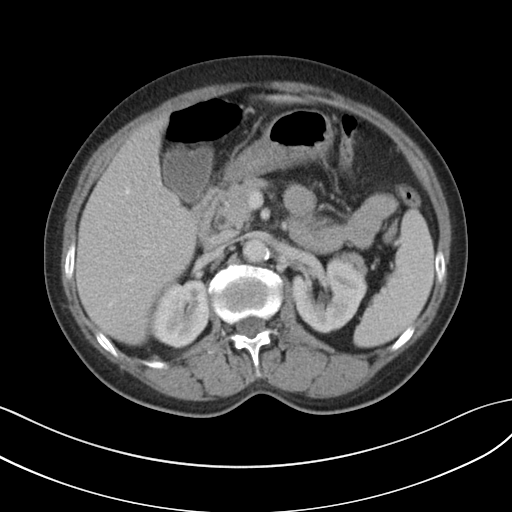
Summary: Multiphase abdominal CT, liver, portal venous phase. Patient: female, age 61. History: cirrhosis, viral hepatitis, prior chemotherapy.